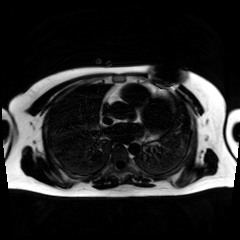
Chemical-shift-encoded cardiac MRI.